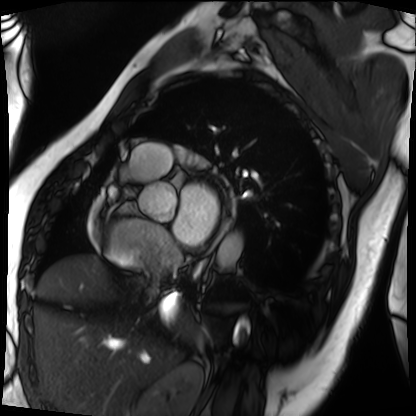
Cardiac MRI. Subject group: patient.